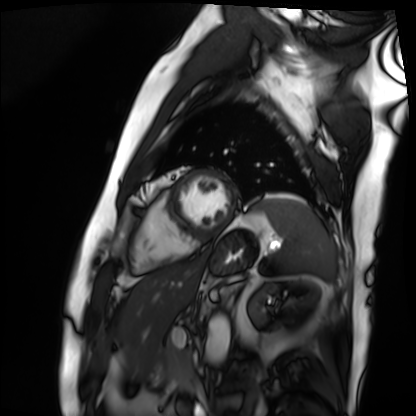
<record>
<modality>cardiac MRI</modality>
<cohort>patient</cohort>
</record>